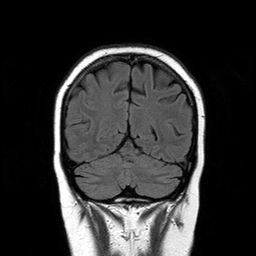
modality = 3 Tesla brain MRI
series = T2-weighted FLAIR
study = ring-enhancing brain masses